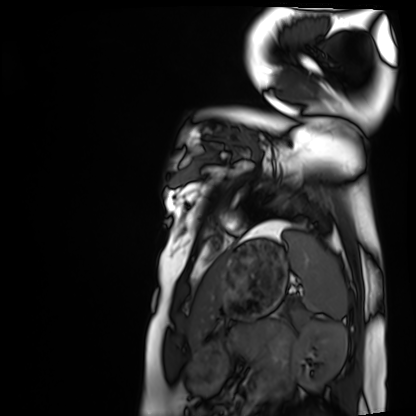
Summary:
Cardiac MRI. Subject group: healthy volunteer.